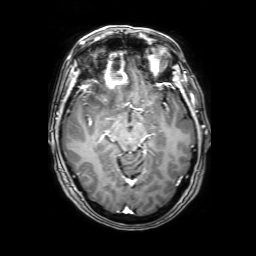
3 Tesla brain MRI. Series: 3D T1-weighted with SENSE. Study: ring-enhancing brain masses.